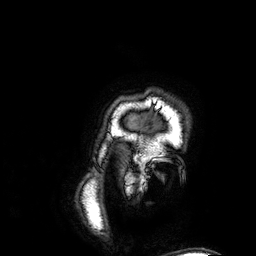
3 Tesla brain MRI. Series: 3D T1-weighted. Study: ring-enhancing brain masses.